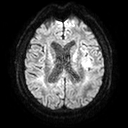
modality=3 Tesla brain MRI
study=ring-enhancing brain masses